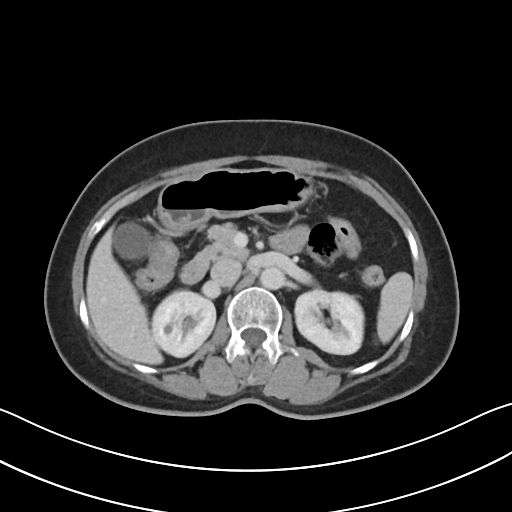
Case:
- modality · multiphase abdominal CT, liver, portal venous phase
- patient · female, age 55